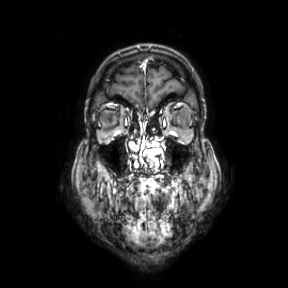
3 Tesla brain MRI. Series: coronal. Study: ring-enhancing brain masses.